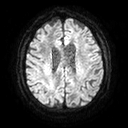
modality: 3 Tesla brain MRI; series: diffusion tensor imaging (medium iso); study: ring-enhancing brain masses.